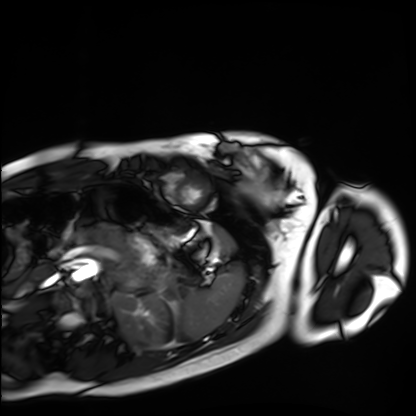
Case summary:
Cardiac MRI. Subject group: healthy volunteer.